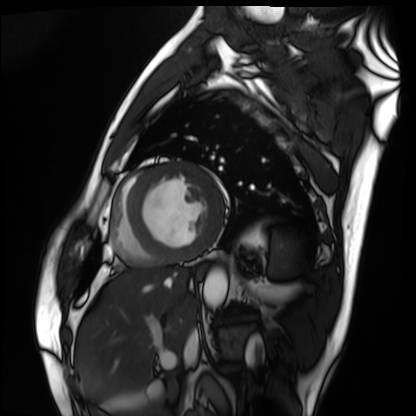
Cardiac MRI.
Subject group: patient.